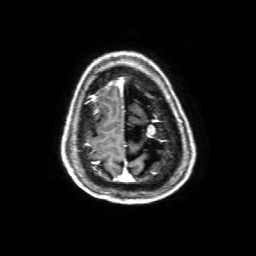
{"modality": {"type": "brain MRI", "field_strength": "3T"}, "series": "3D T1-weighted with SENSE", "study_topic": "ring-enhancing brain masses"}